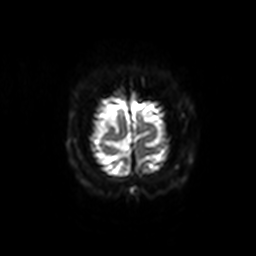
<scan>
  <modality>
    <type>brain MRI</type>
    <field_strength>3T</field_strength>
  </modality>
  <series>diffusion-weighted imaging with SENSE (WIP)</series>
  <study_topic>ring-enhancing brain masses</study_topic>
</scan>